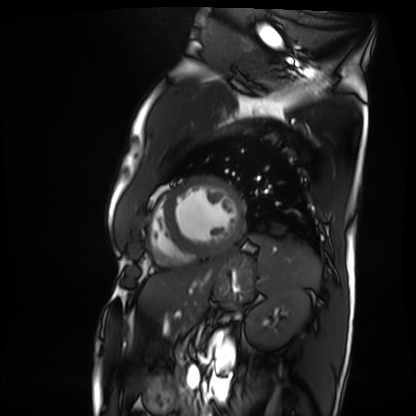
modality: cardiac MRI, subject group: patient.